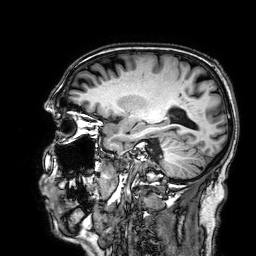
3 Tesla brain MRI. Series: 3D T1-weighted. Study: ring-enhancing brain masses.